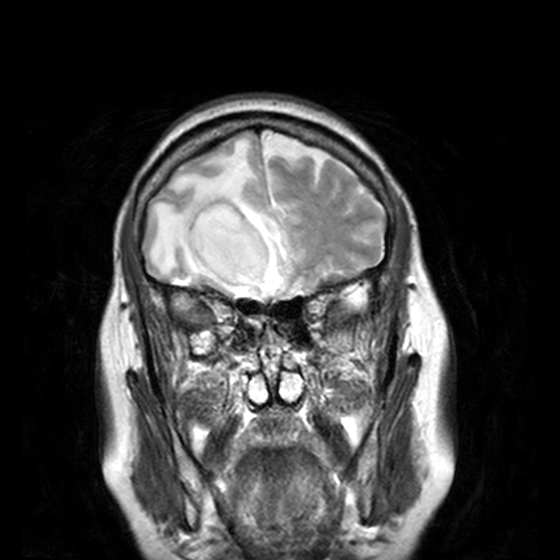
3 Tesla brain MRI. Series: T2-weighted turbo spin echo, 3 mm. Study: ring-enhancing brain masses.